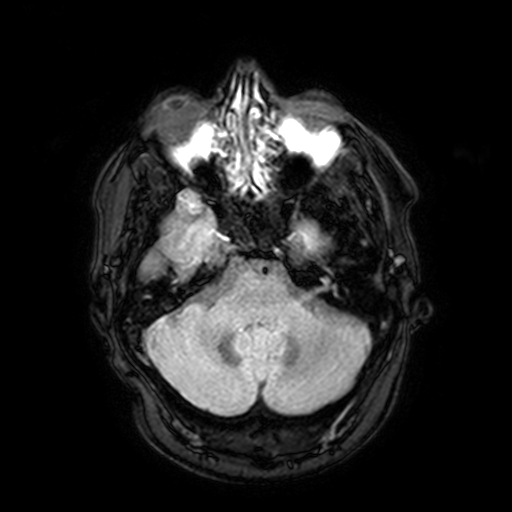
| field | value |
|---|---|
| modality | 3 Tesla brain MRI |
| series | FLAIR with SPAIR, 3 mm |
| study | ring-enhancing brain masses |